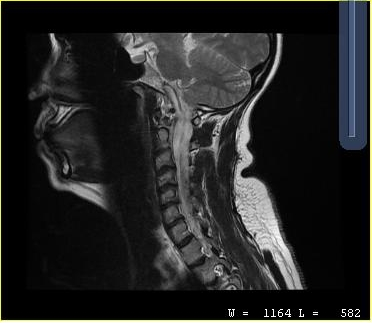
Q: What kind of scan is this?
A: MRI of the cervical spine.
Study: cervical spondylosis.